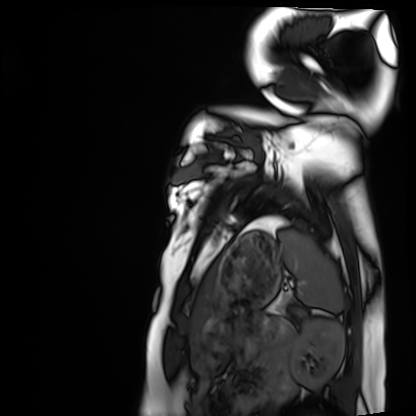
Cardiac MRI. Subject group: healthy volunteer.